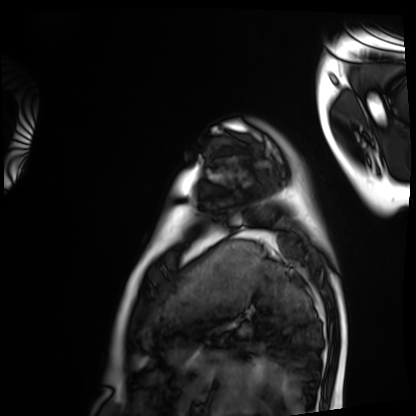
• modality: cardiac MRI
• subject group: healthy volunteer